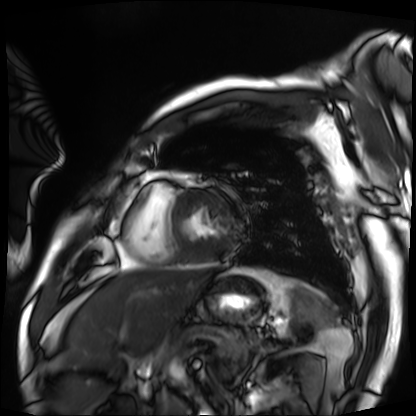
Cardiac MRI. Subject group: patient.